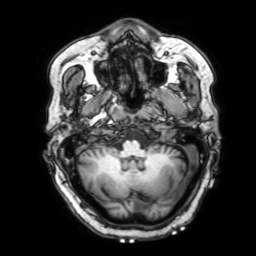
modality=3 Tesla brain MRI | series=3D T1-weighted with SENSE | study=ring-enhancing brain masses.